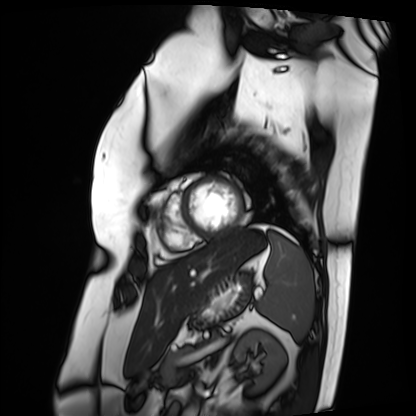
Cardiac MRI. Subject group: patient.